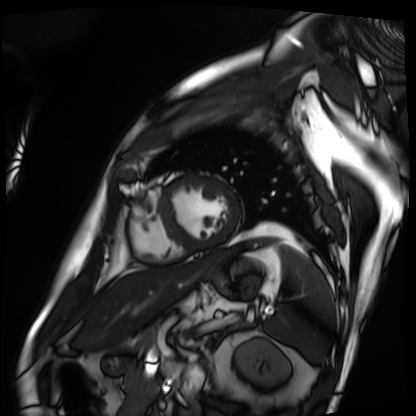
Clinical context:
Cardiac MRI. Subject group: patient.